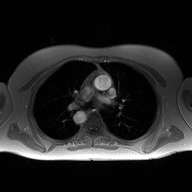
* modality · 2D phase-contrast cine MRI of the ascending aorta